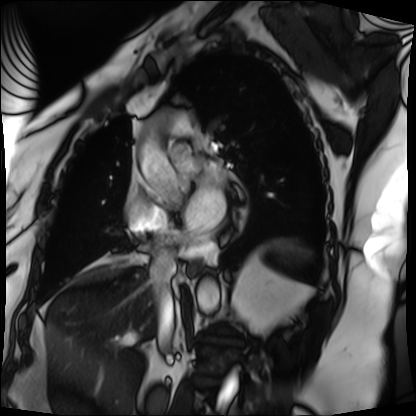
Clinical context: Cardiac MRI. Subject group: patient.